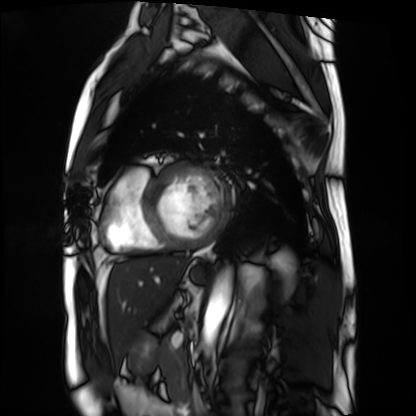
Q: What kind of scan is this?
A: Cardiac MRI.
Subject group: patient.